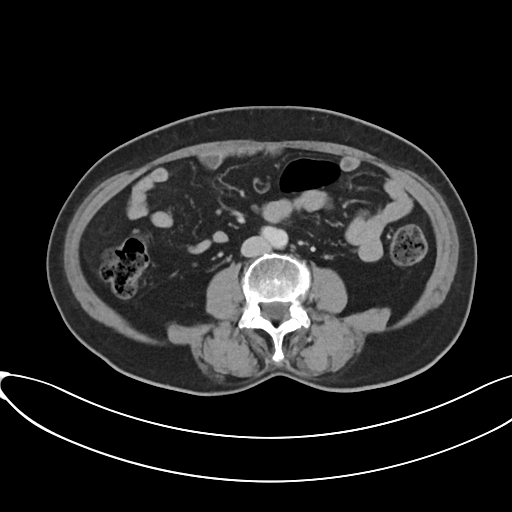
Q: What kind of scan is this?
A: Multiphase abdominal CT, liver, portal venous phase.
Q: Patient?
A: Female, age 61.